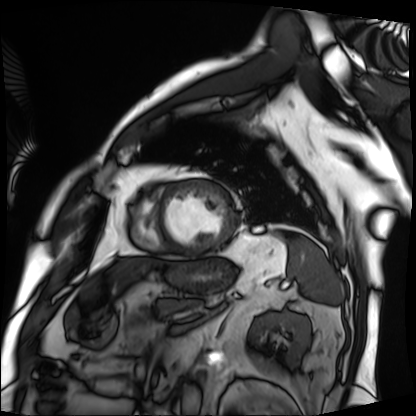
Case summary: Cardiac MRI. Subject group: patient.